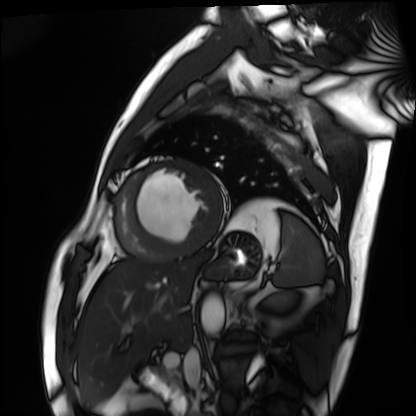
{
  "modality": "cardiac MRI",
  "cohort": "patient"
}